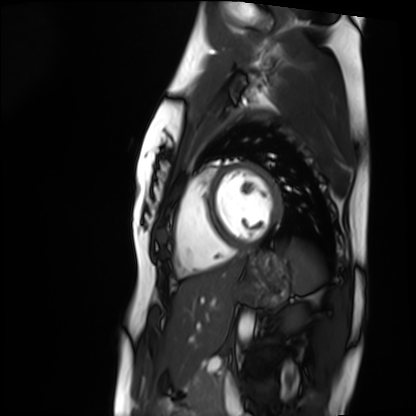
Cardiac MRI. Subject group: healthy volunteer.